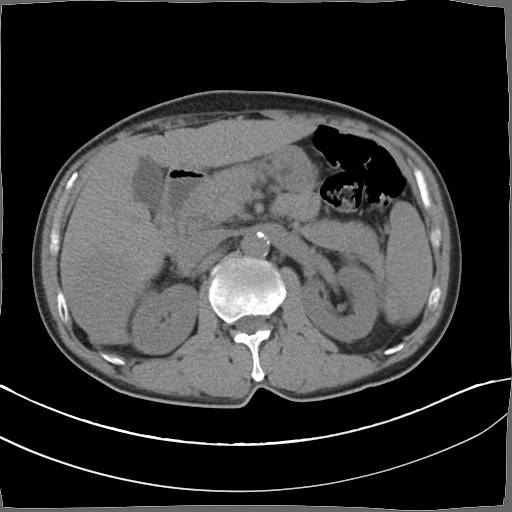
Multiphase abdominal CT, liver, non-contrast phase. Patient: male, age 52.